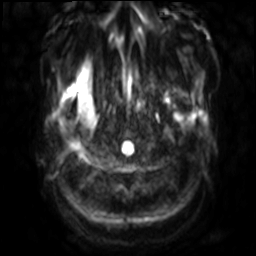
3 Tesla brain MRI. Series: diffusion-weighted imaging with SENSE (WIP). Study: ring-enhancing brain masses.